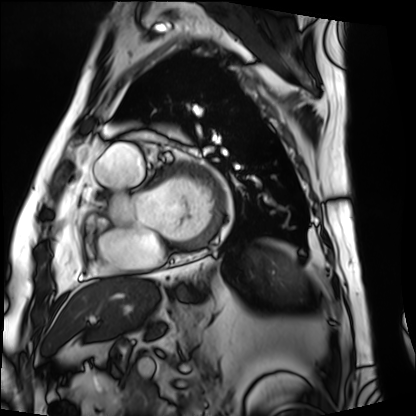
Q: What kind of scan is this?
A: Cardiac MRI.
Subject group: patient.